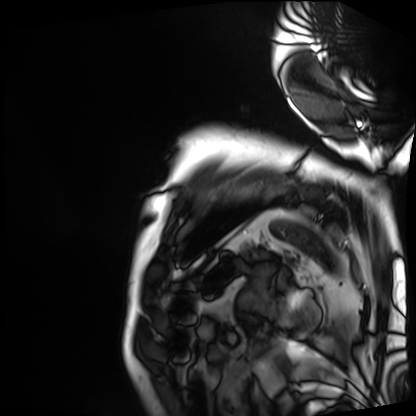
Cardiac MRI.
Subject group: patient.